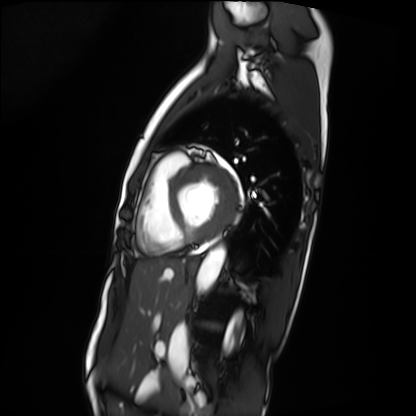
  modality: cardiac MRI
  cohort: patient